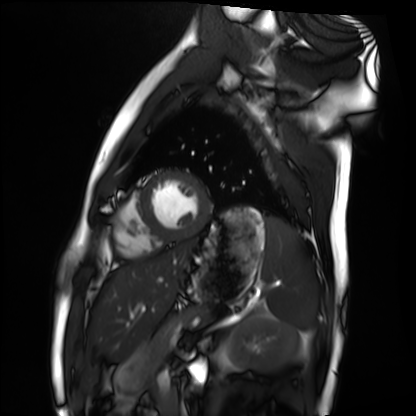
modality = cardiac MRI; subject group = healthy volunteer.